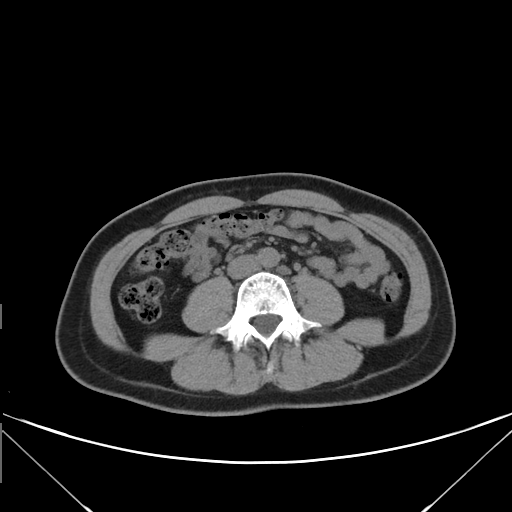
Multiphase abdominal CT, liver, non-contrast phase.
Patient: female, age 43.